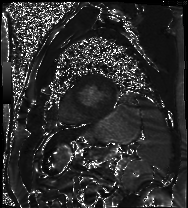
| field | value |
|---|---|
| modality | cardiac MR image of the myocardium |
| subject cohort | cardiac patient |